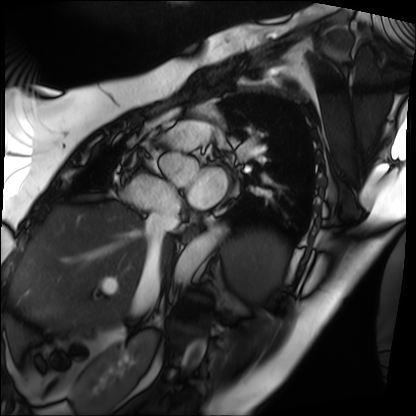
Cardiac MRI. Subject group: patient.